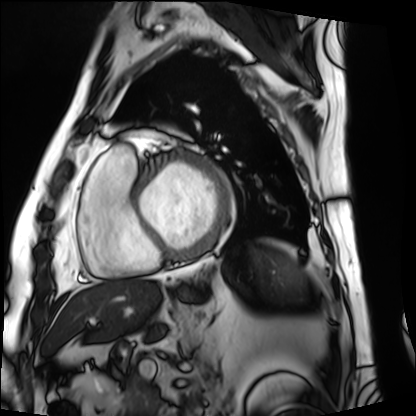
Summary:
Cardiac MRI. Subject group: patient.